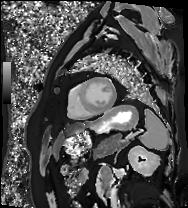
{"modality": "cardiac MRI", "cohort": "patient"}